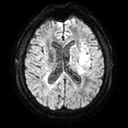
3 Tesla brain MRI. Series: diffusion tensor imaging (medium iso). Study: ring-enhancing brain masses.